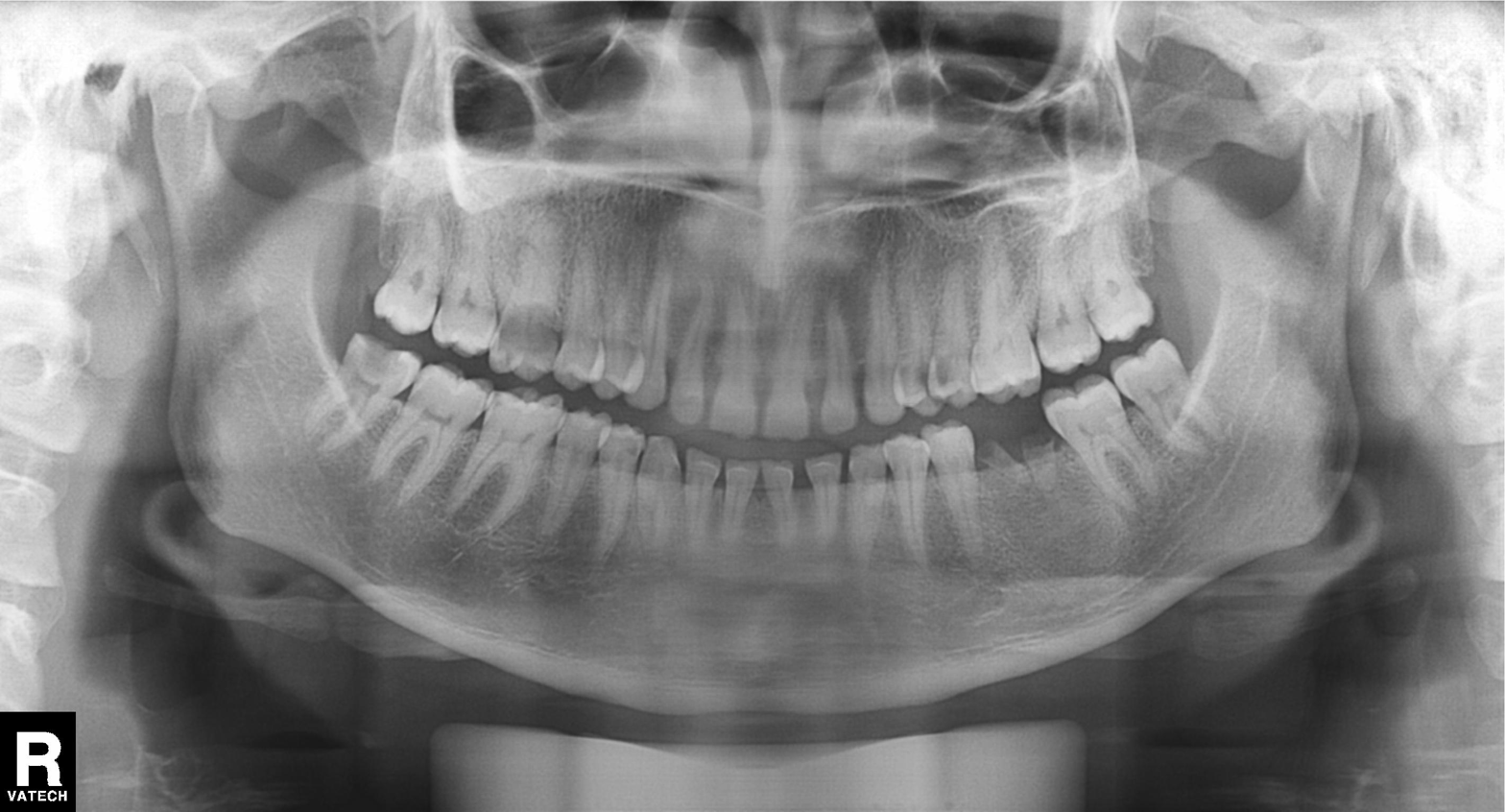
Panoramic dental radiograph (orthopantomogram). Finding: alveolar bone loss.